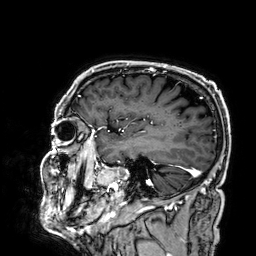
Summary:
3 Tesla brain MRI. Study: ring-enhancing brain masses.